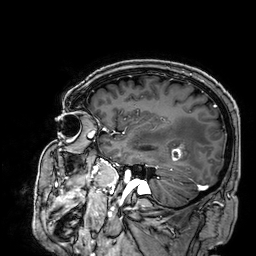
3 Tesla brain MRI. Series: 3D T1-weighted. Study: ring-enhancing brain masses.